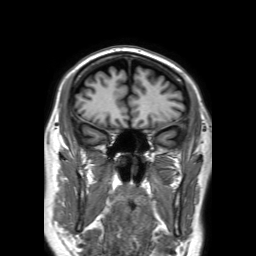
Q: What kind of scan is this?
A: 3 Tesla brain MRI.
Q: Series?
A: 3D T1-weighted TFE with SENSE.
Study: ring-enhancing brain masses.